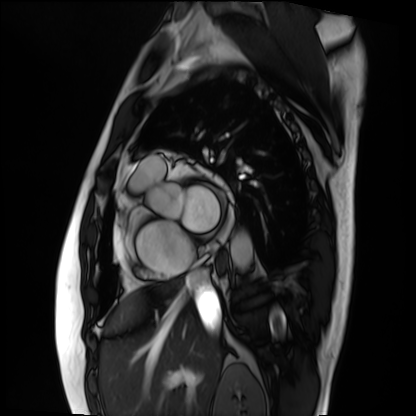
Cardiac MRI.
Subject group: patient.